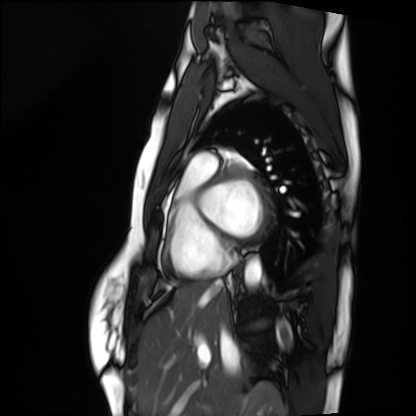
modality: cardiac MRI
cohort: healthy volunteer